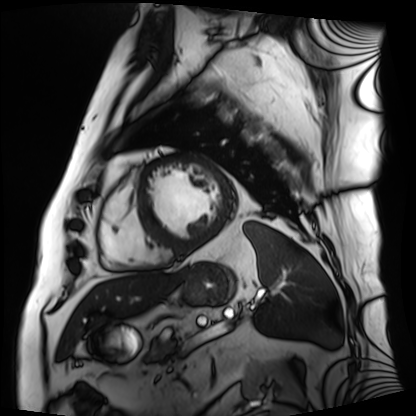
Case summary:
Cardiac MRI. Subject group: patient.